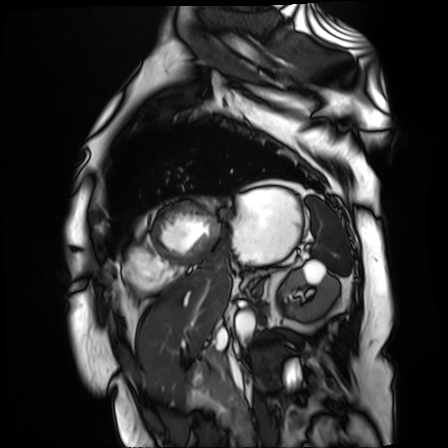
Cardiac MR image of the myocardium.
Subject cohort: cardiac patient.